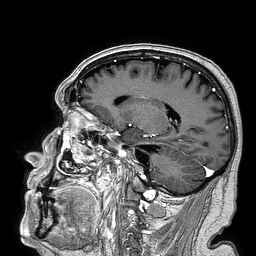
3 Tesla brain MRI. Series: 3D T1-weighted turbo field echo. Study: ring-enhancing brain masses.